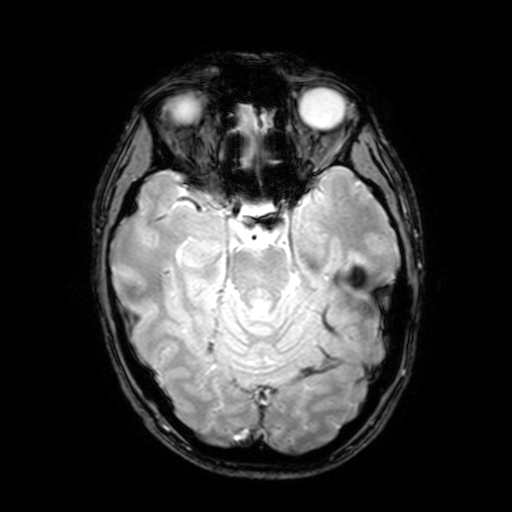
| field | value |
|---|---|
| modality | 3 Tesla brain MRI |
| series | T2-weighted fast field echo with SENSE |
| study | ring-enhancing brain masses |